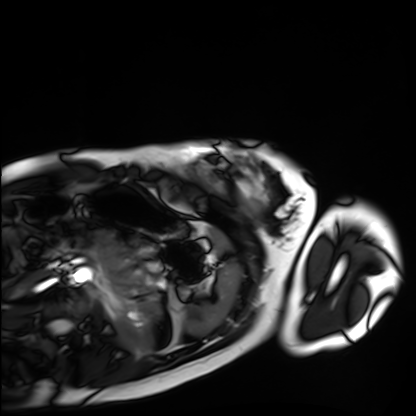
modality — cardiac MRI | subject group — healthy volunteer.